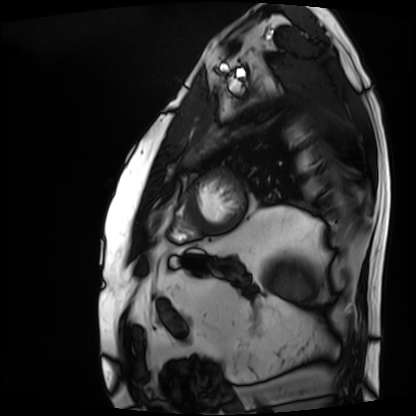
Cardiac MRI. Subject group: patient.